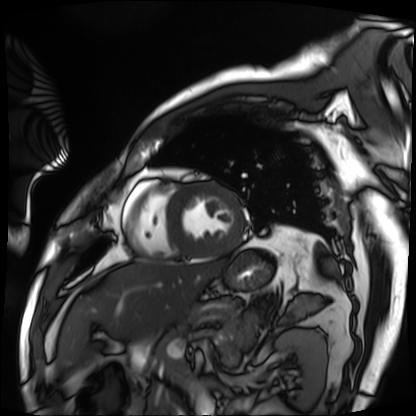
Case:
• modality · cardiac MRI
• subject group · patient